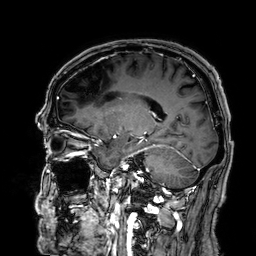
3 Tesla brain MRI. Series: 3D T1-weighted. Study: ring-enhancing brain masses.